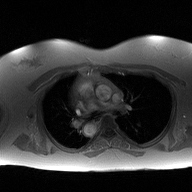
Q: What kind of scan is this?
A: 2D phase-contrast cine MRI of the ascending aorta.